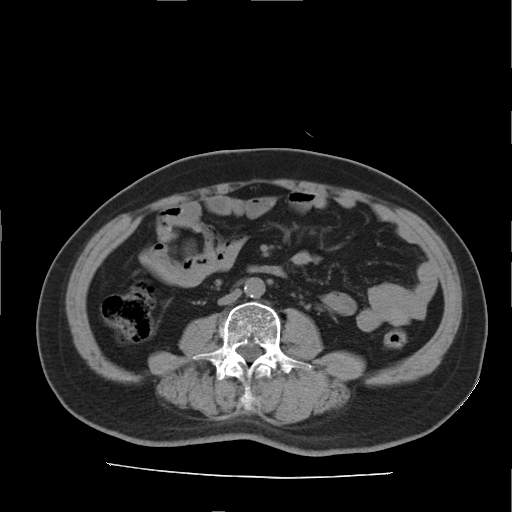
Multiphase abdominal CT, liver, non-contrast phase. Patient: male, age 66.